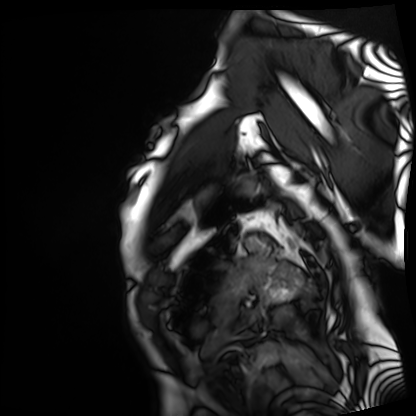
Case summary:
Cardiac MRI. Subject group: patient.